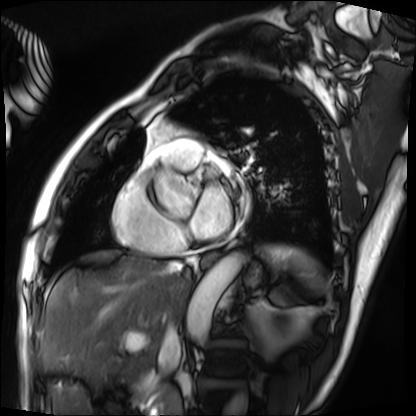
Cardiac MRI. Subject group: patient.